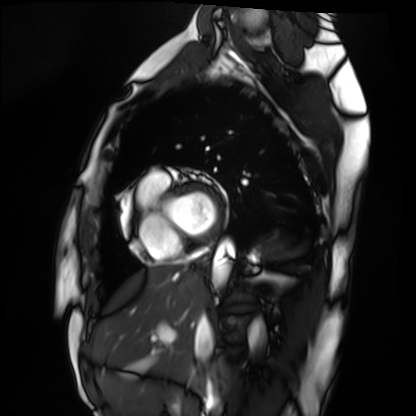
Summary:
Cardiac MRI. Subject group: healthy volunteer.